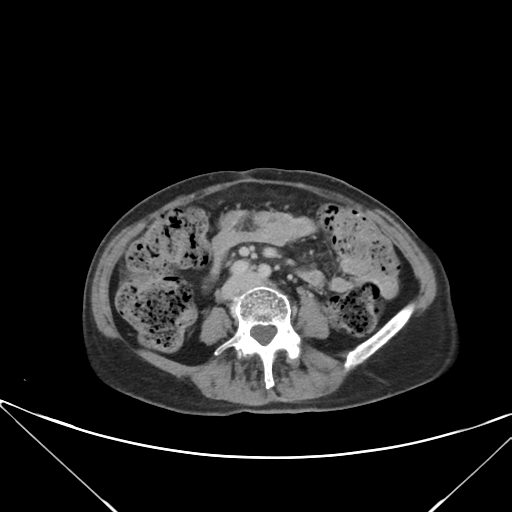
modality: multiphase abdominal CT, liver, delayed phase; patient: female, age 63; history: prior chemotherapy.